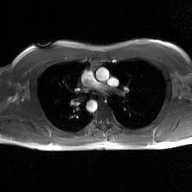
{
  "modality": {
    "type": "2D phase-contrast cine MRI",
    "region": "ascending aorta",
    "reconstruction": "GAN super-resolution reconstruction"
  }
}